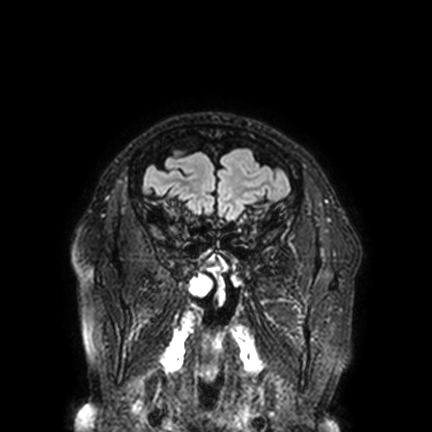
3 Tesla brain MRI.
Series: FLAIR VISTA with SENSE.
Study: ring-enhancing brain masses.